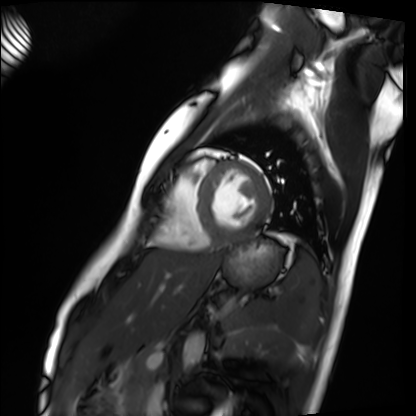
modality: cardiac MRI, subject group: healthy volunteer.